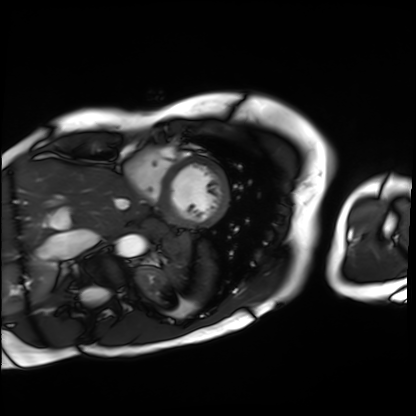
* modality: cardiac MRI
* subject group: patient